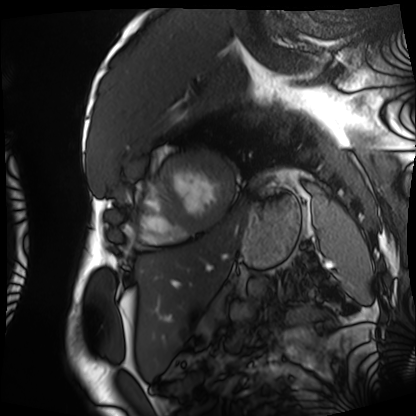
Cardiac MRI.
Subject group: patient.